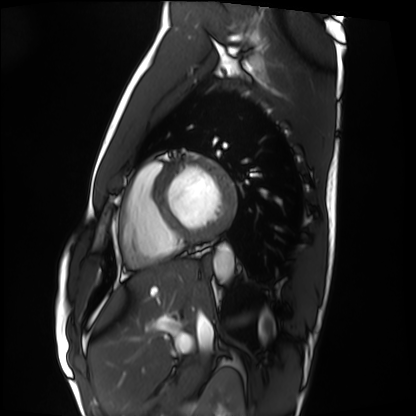
Cardiac MRI. Subject group: healthy volunteer.